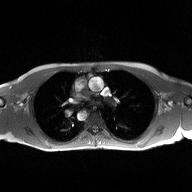
2D phase-contrast cine MRI of the ascending aorta, high-resolution GRAPPA acquisition.